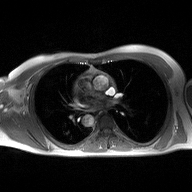
modality: 2D phase-contrast cine MRI of the ascending aorta